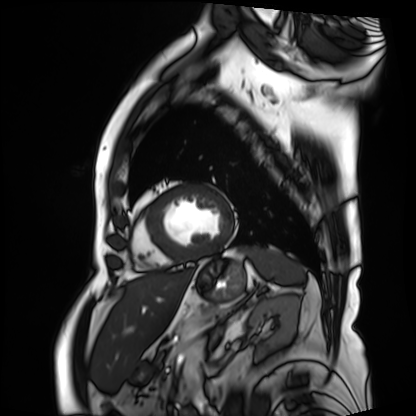
modality — cardiac MRI
subject group — patient